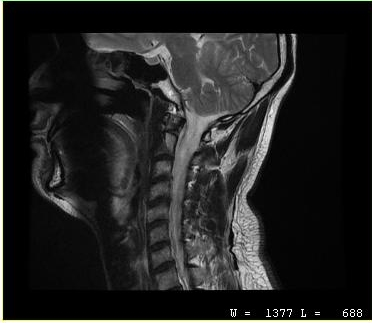
Case summary: MRI of the cervical spine. Study: cervical spondylosis.